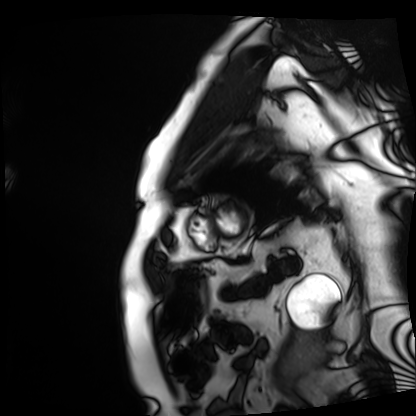
modality = cardiac MRI, subject group = patient.